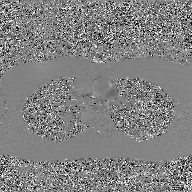
2D phase-contrast cine MRI of the ascending aorta, GAN super-resolution reconstruction.